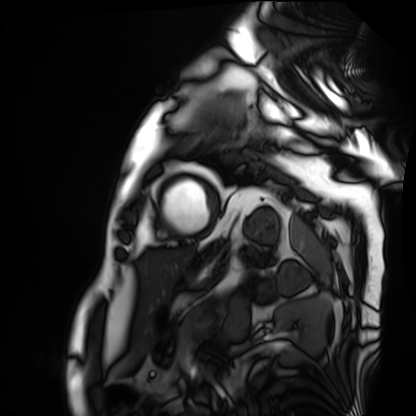
Cardiac MRI. Subject group: patient.